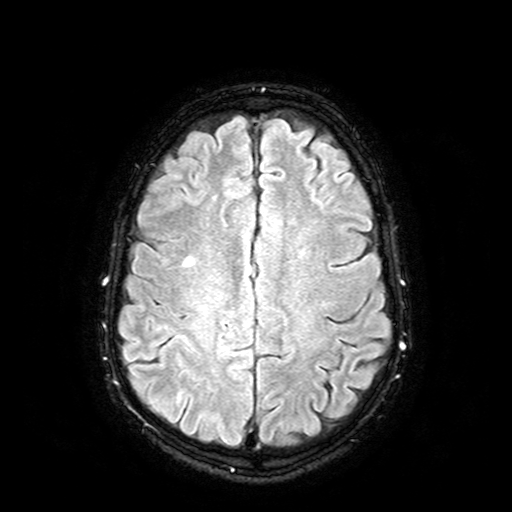
| field | value |
|---|---|
| modality | 3 Tesla brain MRI |
| series | FLAIR with SPAIR |
| study | ring-enhancing brain masses |